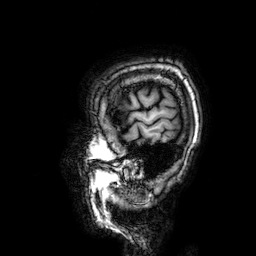
3 Tesla brain MRI.
Study: ring-enhancing brain masses.